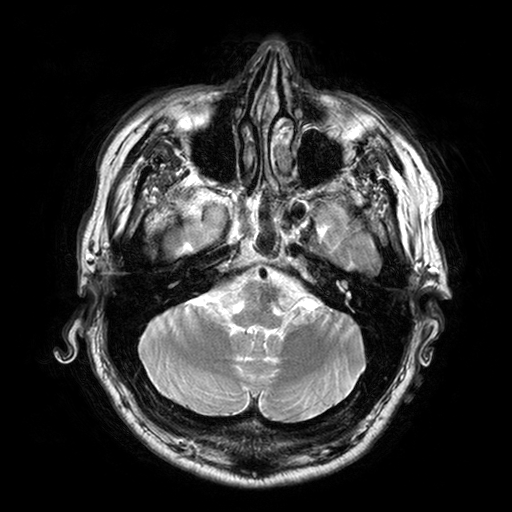
3 Tesla brain MRI. Series: T2-weighted turbo spin echo with SENSE. Study: ring-enhancing brain masses.